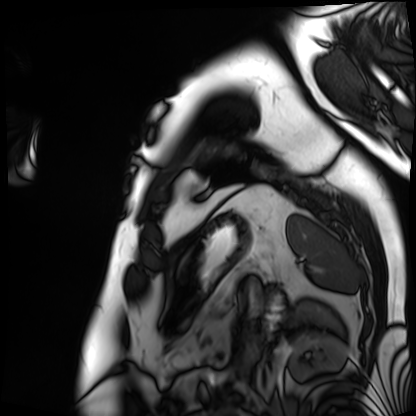
modality=cardiac MRI | subject group=patient.